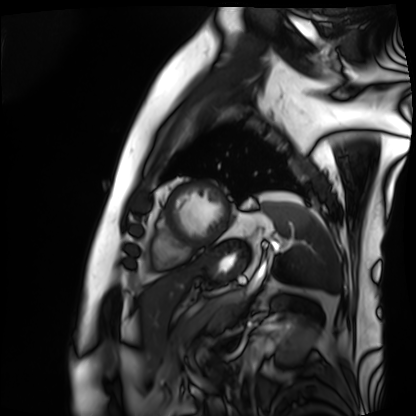
Case summary: Cardiac MRI. Subject group: patient.